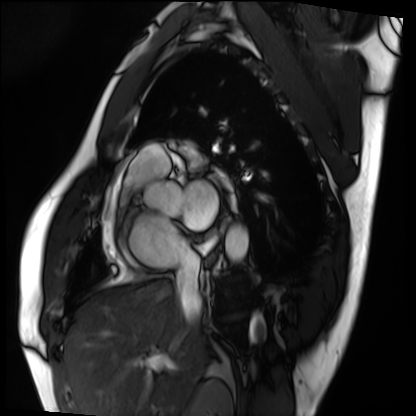
Cardiac MRI. Subject group: patient.